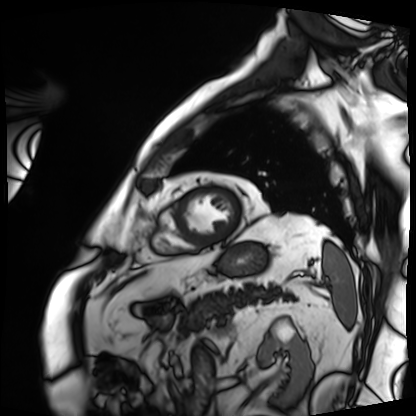
• modality: cardiac MRI
• subject group: patient